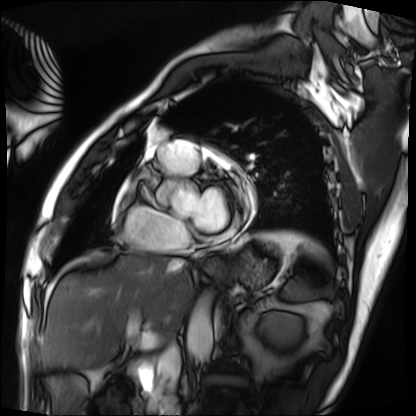
Q: What kind of scan is this?
A: Cardiac MRI.
Subject group: patient.